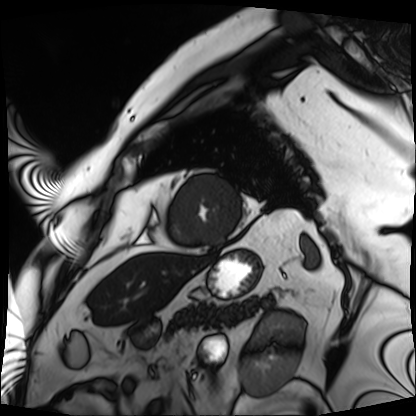
Q: What kind of scan is this?
A: Cardiac MRI.
Subject group: patient.